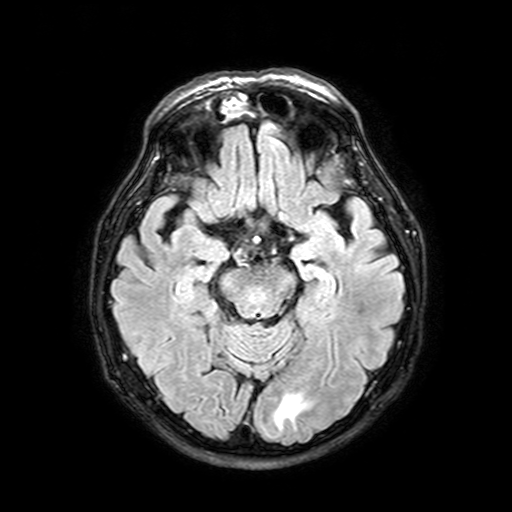
{
  "modality": {
    "type": "brain MRI",
    "field_strength": "3T"
  },
  "series": "FLAIR with SPAIR, 3 mm",
  "study_topic": "ring-enhancing brain masses"
}